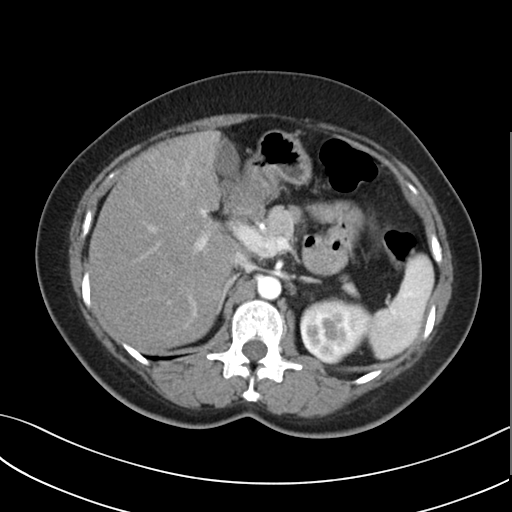
Q: What kind of scan is this?
A: Multiphase abdominal CT, liver, arterial phase.
Q: Patient?
A: Female, age 51.
Q: History?
A: Prior chemotherapy.